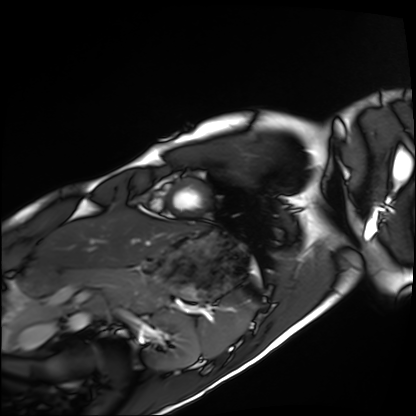
Q: What kind of scan is this?
A: Cardiac MRI.
Subject group: healthy volunteer.